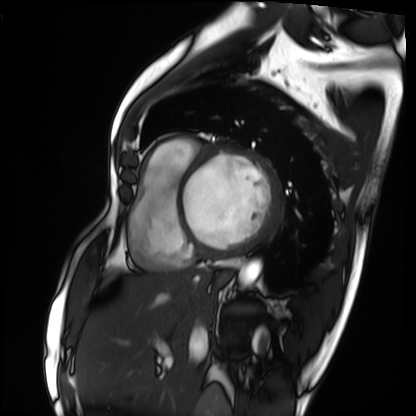
Summary:
Cardiac MRI. Subject group: patient.